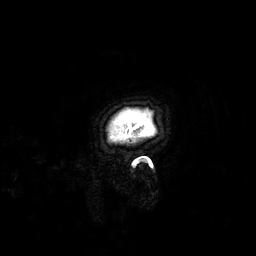
modality:
  type: brain MRI
  field_strength: 3T
series: 3D T1-weighted
study_topic: ring-enhancing brain masses